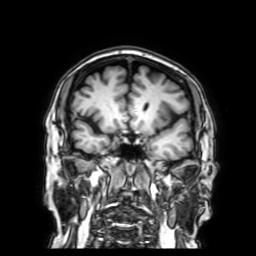
Case:
• modality · 3 Tesla brain MRI
• series · 3D T1-weighted with SENSE
• study · ring-enhancing brain masses